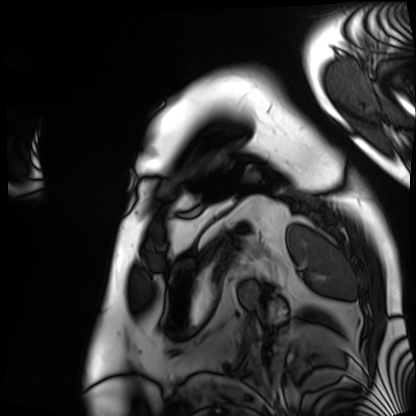
Clinical context: Cardiac MRI. Subject group: patient.